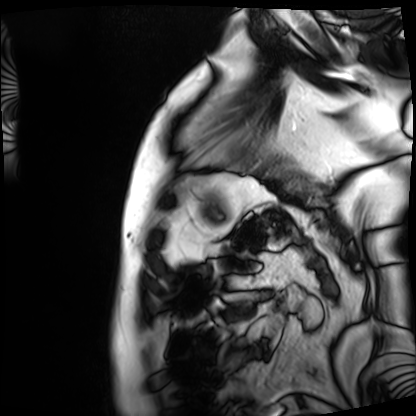
{"modality": "cardiac MRI", "cohort": "patient"}